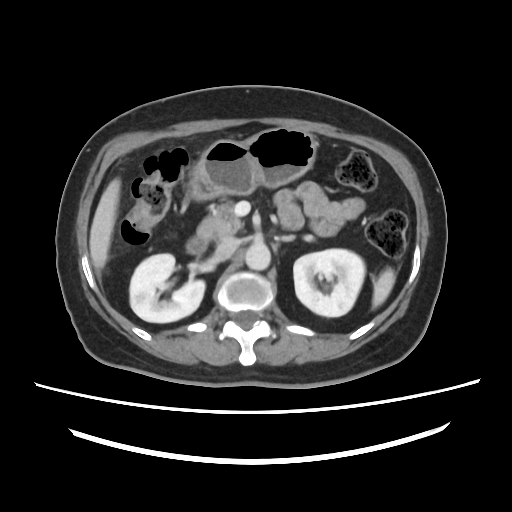
<scan>
  <modality>
    <type>multiphase abdominal CT</type>
    <region>liver</region>
    <phase>portal venous</phase>
  </modality>
  <patient>
    <sex>female</sex>
    <age>63</age>
  </patient>
</scan>